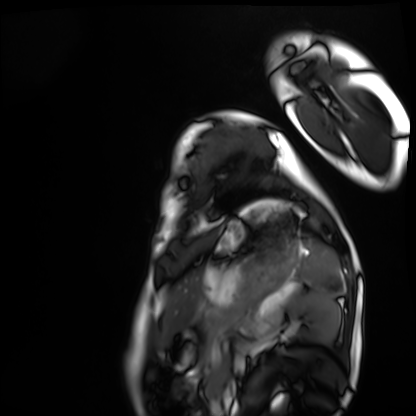
<scan>
  <modality>cardiac MRI</modality>
  <cohort>healthy volunteer</cohort>
</scan>